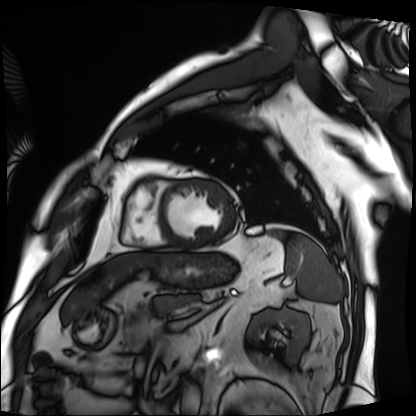
modality = cardiac MRI; subject group = patient.